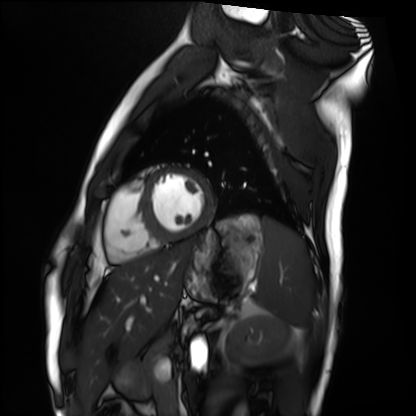
Cardiac MRI. Subject group: healthy volunteer.